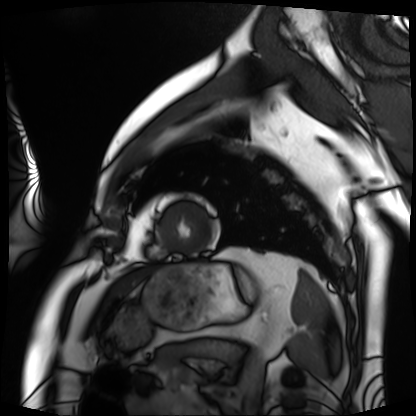
  modality: cardiac MRI
  cohort: patient